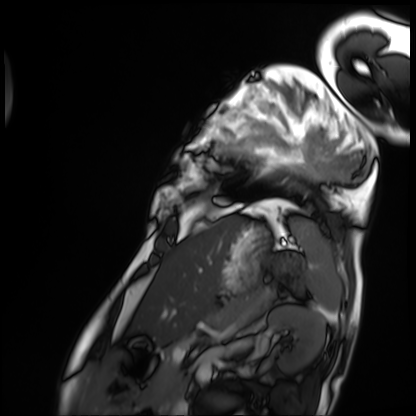
{"modality": "cardiac MRI", "cohort": "patient"}